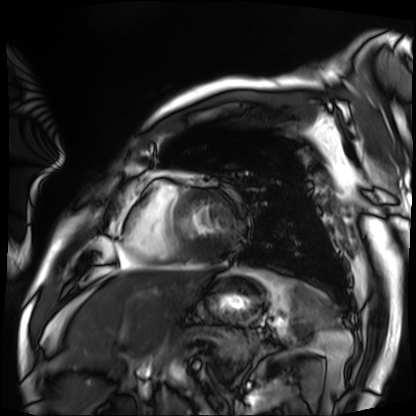
Summary: Cardiac MRI. Subject group: patient.